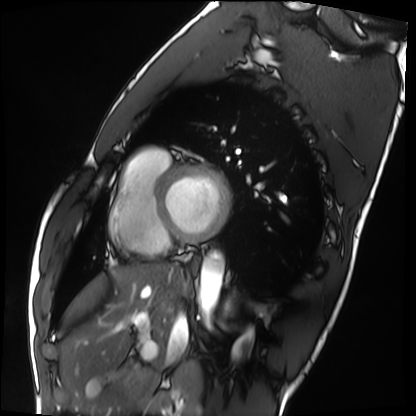
Cardiac MRI. Subject group: healthy volunteer.